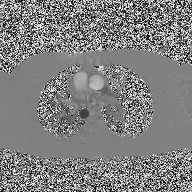
Summary: 2D phase-contrast cine MRI of the ascending aorta, high-resolution GRAPPA acquisition.